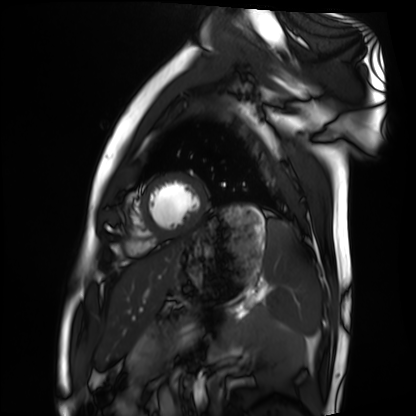
modality: cardiac MRI; subject group: healthy volunteer.